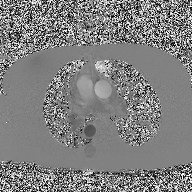
modality: 2D phase-contrast cine MRI of the ascending aorta